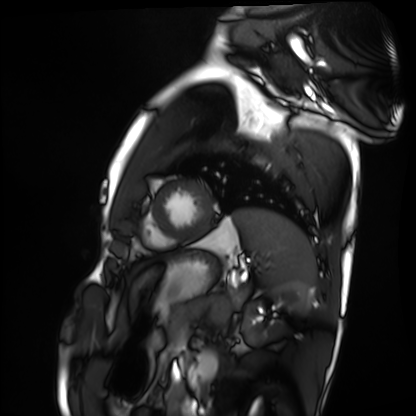
Cardiac MRI. Subject group: healthy volunteer.